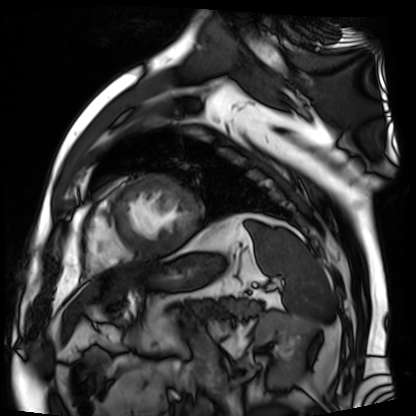
Q: What kind of scan is this?
A: Cardiac MR image of the myocardium.
Subject cohort: cardiac patient.